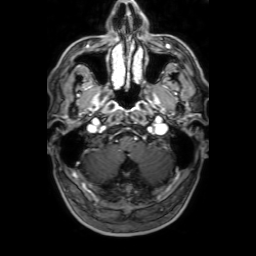
3 Tesla brain MRI. Series: 3D T1-weighted with SENSE. Study: ring-enhancing brain masses.